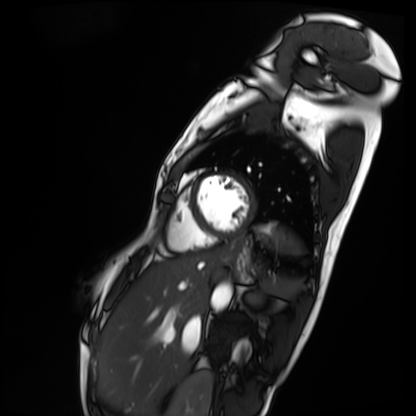
Summary: Cardiac MRI. Subject group: patient.